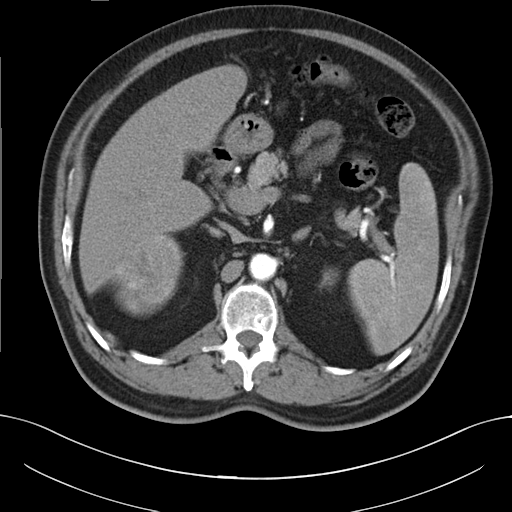
Case summary: Multiphase abdominal CT, liver, arterial phase. Patient: male, age 56.